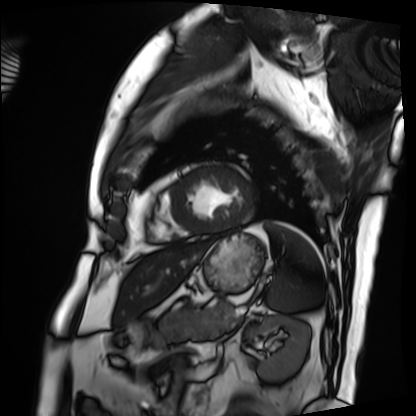
modality: cardiac MRI; subject group: patient.